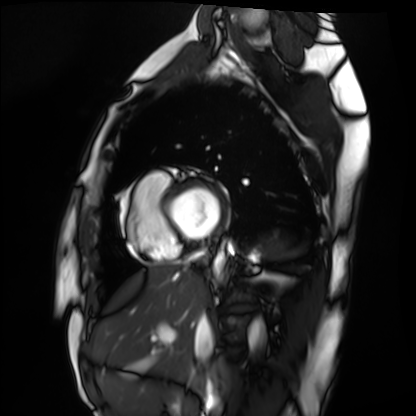
Cardiac MRI. Subject group: healthy volunteer.